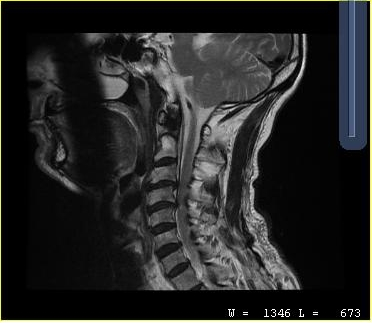
  modality:
    type: cervical spine MRI
  study_topic: cervical spondylosis